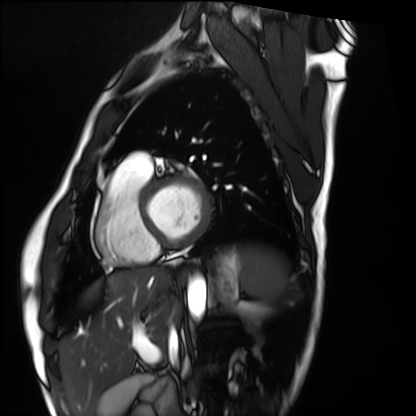
Summary: Cardiac MRI. Subject group: healthy volunteer.